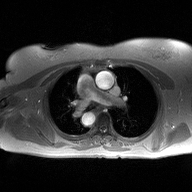
Summary: 2D phase-contrast cine MRI of the ascending aorta, high-resolution GRAPPA acquisition.